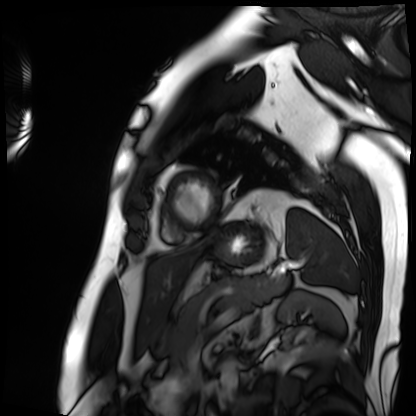
| field | value |
|---|---|
| modality | cardiac MRI |
| subject group | patient |